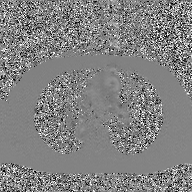
2D phase-contrast cine MRI of the ascending aorta, GAN super-resolution reconstruction.